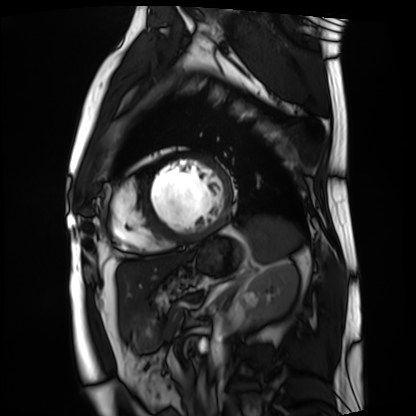
{"modality": "cardiac MRI", "cohort": "patient"}